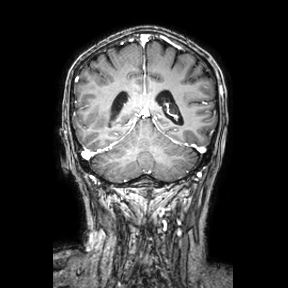
Summary:
3 Tesla brain MRI. Series: coronal. Study: ring-enhancing brain masses.